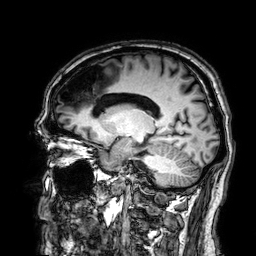
modality:
  type: brain MRI
  field_strength: 3T
series: 3D T1-weighted
study_topic: ring-enhancing brain masses